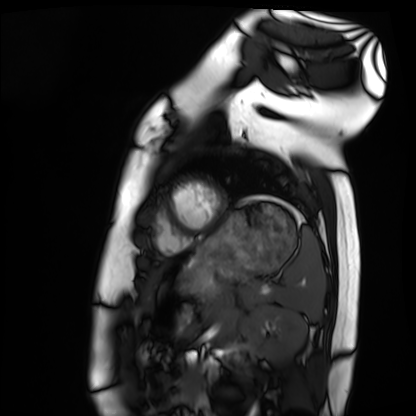
modality=cardiac MRI
subject group=healthy volunteer